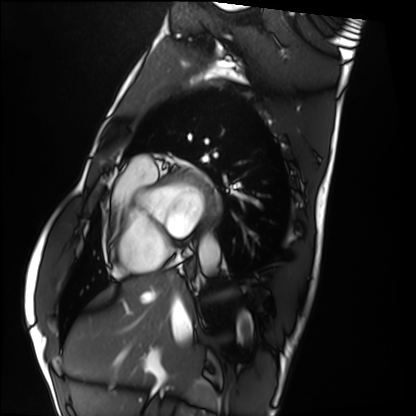
{"modality": "cardiac MRI", "cohort": "healthy volunteer"}